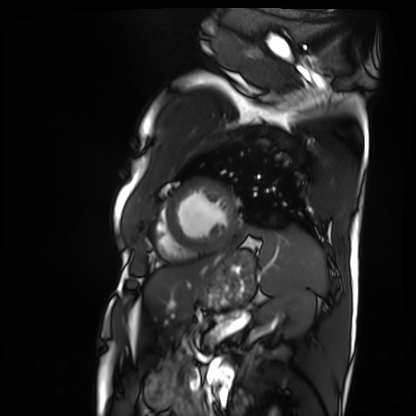
Clinical context:
Cardiac MRI. Subject group: patient.